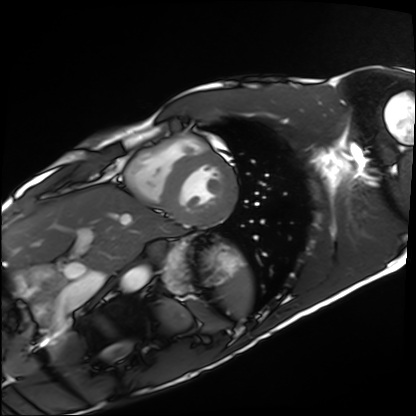
Case:
• modality · cardiac MRI
• subject group · healthy volunteer